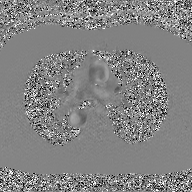
2D phase-contrast cine MRI of the ascending aorta, GAN super-resolution reconstruction.